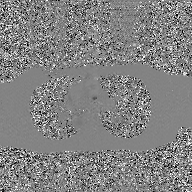
Summary: 2D phase-contrast cine MRI of the ascending aorta, GAN super-resolution reconstruction.